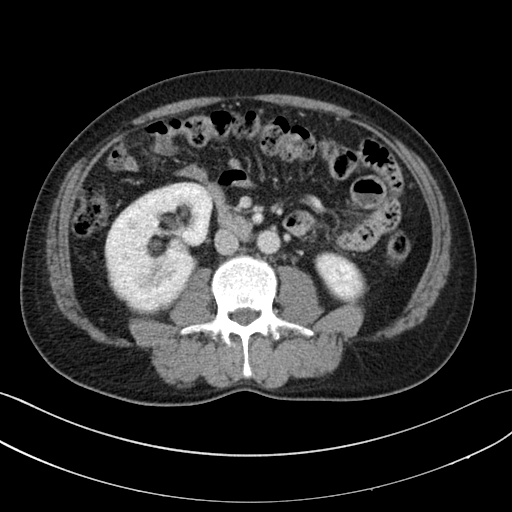
modality: multiphase abdominal CT, liver, portal venous phase; patient: male, age 53; history: cirrhosis, viral hepatitis.